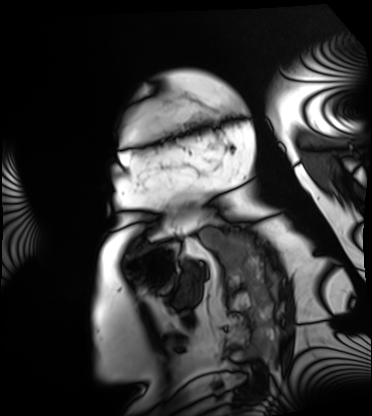
Q: What kind of scan is this?
A: Cardiac MRI.
Subject group: patient.